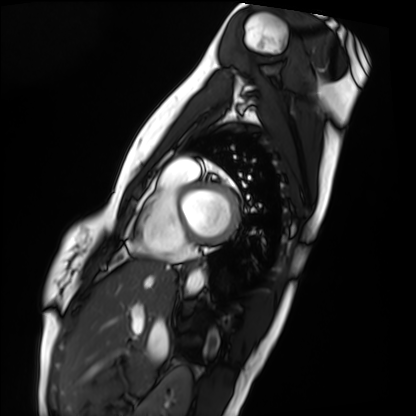
modality: cardiac MRI, subject group: healthy volunteer.